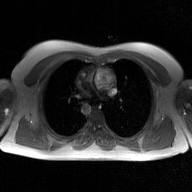
Case summary:
2D phase-contrast cine MRI of the ascending aorta, GAN super-resolution reconstruction.